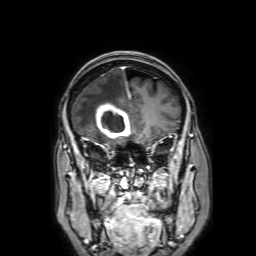
• modality · 3 Tesla brain MRI
• series · 3D T1-weighted with SENSE
• study · ring-enhancing brain masses